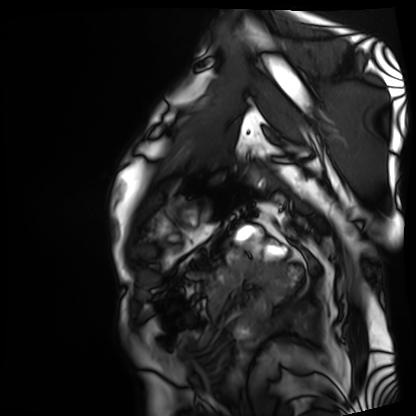
Cardiac MRI. Subject group: patient.